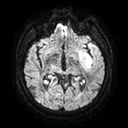
Q: What kind of scan is this?
A: 3 Tesla brain MRI.
Q: Series?
A: Diffusion tensor imaging (medium iso).
Study: ring-enhancing brain masses.